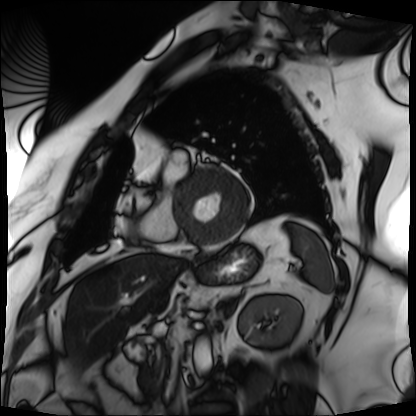
modality = cardiac MRI, subject group = patient.